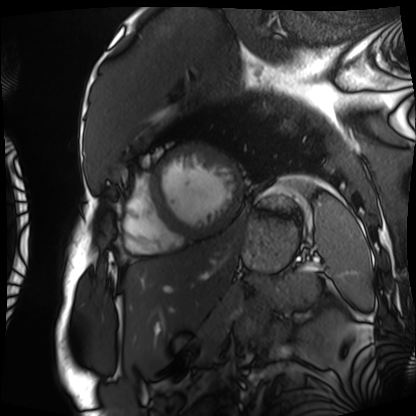
Q: What kind of scan is this?
A: Cardiac MRI.
Subject group: patient.